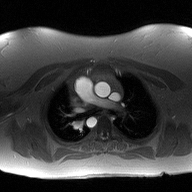
2D phase-contrast cine MRI of the ascending aorta, high-resolution GRAPPA acquisition.